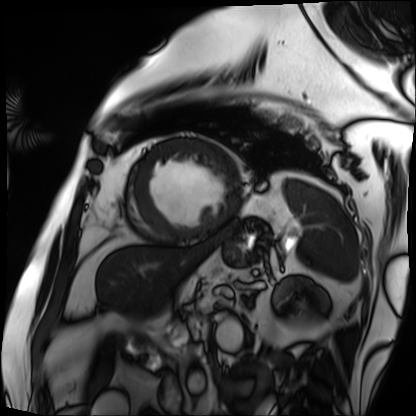
Cardiac MRI.
Subject group: patient.